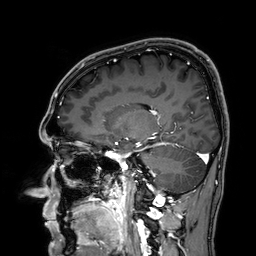
{"modality": {"type": "brain MRI", "field_strength": "3T"}, "series": "3D T1-weighted", "study_topic": "ring-enhancing brain masses"}